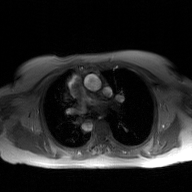
modality: 2D phase-contrast cine MRI of the ascending aorta, GAN super-resolution reconstruction.